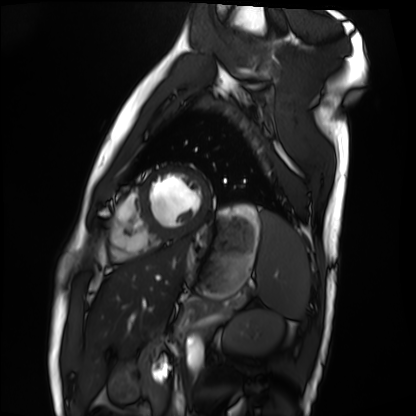
Summary: Cardiac MRI. Subject group: healthy volunteer.